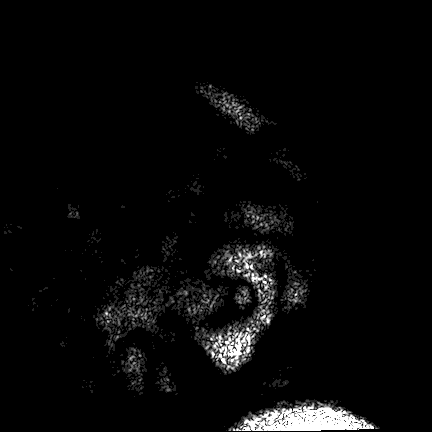
{"modality": {"type": "brain MRI", "field_strength": "3T"}, "series": "FLAIR VISTA", "study_topic": "ring-enhancing brain masses"}